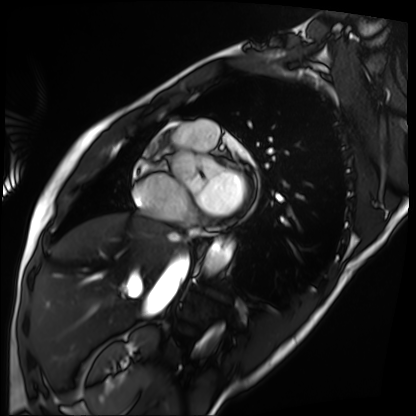
Cardiac MRI. Subject group: patient.